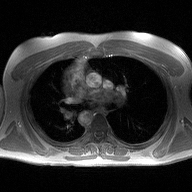
Clinical context: 2D phase-contrast cine MRI of the ascending aorta, high-resolution GRAPPA acquisition.